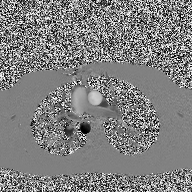
Q: What kind of scan is this?
A: 2D phase-contrast cine MRI of the ascending aorta.